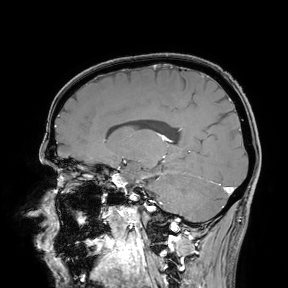
{"modality": {"type": "brain MRI", "field_strength": "3T"}, "study_topic": "ring-enhancing brain masses"}